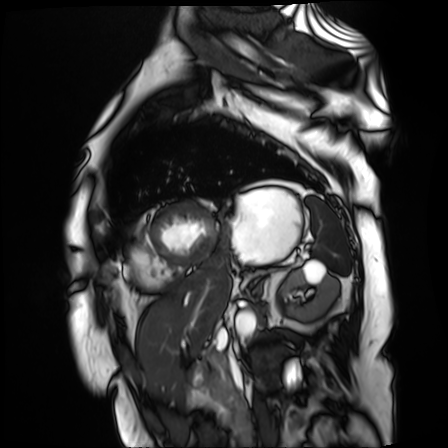
Cardiac MR image of the myocardium. Subject cohort: cardiac patient.